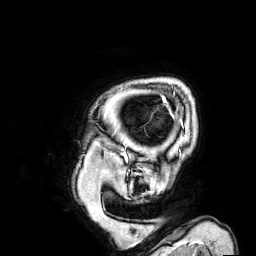
3 Tesla brain MRI.
Series: 3D T1-weighted.
Study: ring-enhancing brain masses.